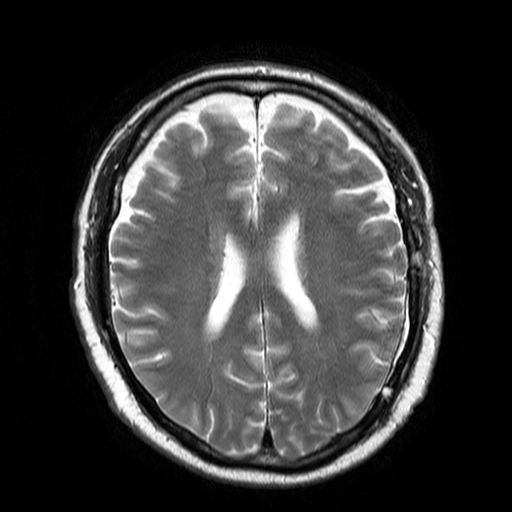
Q: What kind of scan is this?
A: 3 Tesla brain MRI.
Q: Series?
A: T2-weighted turbo spin echo.
Study: ring-enhancing brain masses.